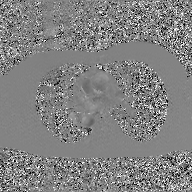
Q: What kind of scan is this?
A: 2D phase-contrast cine MRI of the ascending aorta, GAN super-resolution reconstruction.